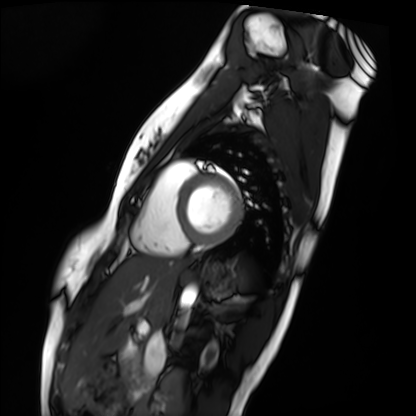
Case:
– modality · cardiac MRI
– subject group · healthy volunteer